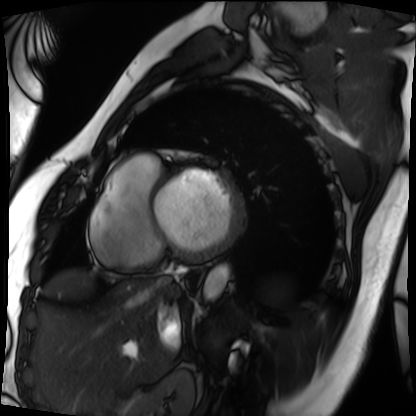
Case:
- modality: cardiac MRI
- subject group: patient